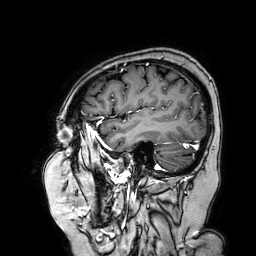
Case:
• modality: 3 Tesla brain MRI
• series: 3D T1-weighted turbo field echo with SENSE
• study: ring-enhancing brain masses